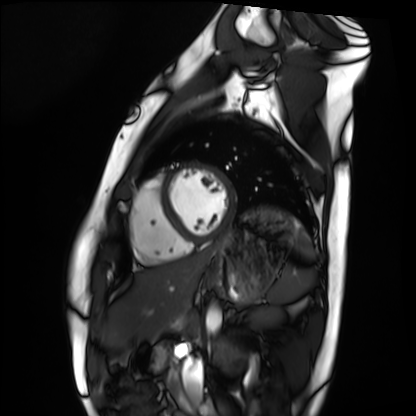
<scan>
  <modality>cardiac MRI</modality>
  <cohort>healthy volunteer</cohort>
</scan>